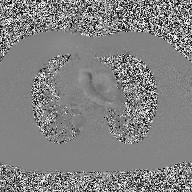
modality=2D phase-contrast cine MRI of the ascending aorta.